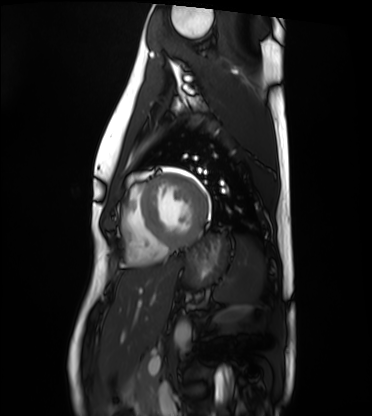
modality: cardiac MRI
cohort: healthy volunteer